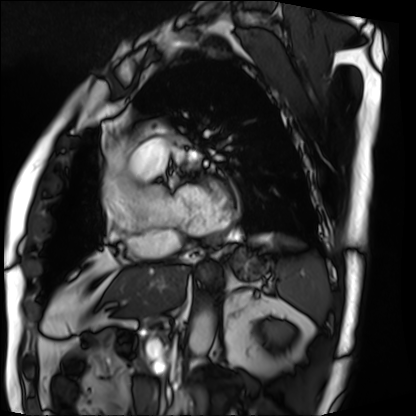
modality — cardiac MRI | subject group — patient.